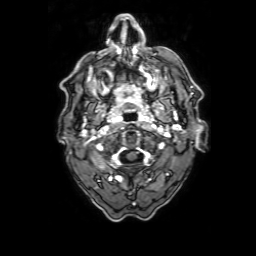
modality — 3 Tesla brain MRI
series — 3D T1-weighted with SENSE
study — ring-enhancing brain masses